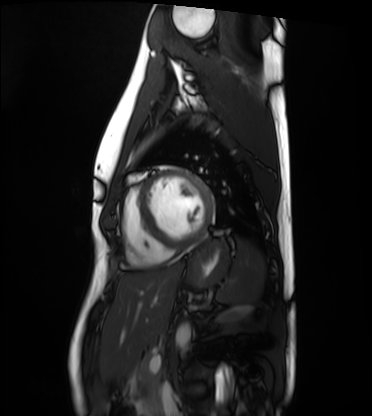
Summary: Cardiac MRI. Subject group: healthy volunteer.